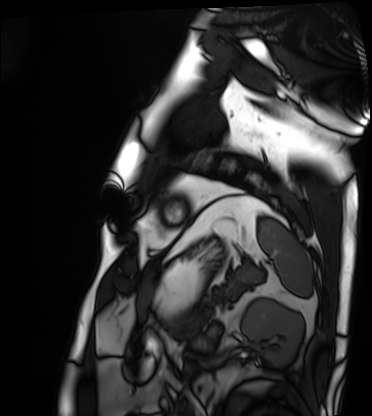
{
  "modality": "cardiac MRI",
  "cohort": "patient"
}